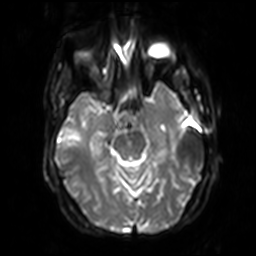
modality = 3 Tesla brain MRI | series = diffusion-weighted imaging with SENSE (WIP) | study = ring-enhancing brain masses.